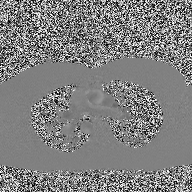
Summary: 2D phase-contrast cine MRI of the ascending aorta, high-resolution GRAPPA acquisition.